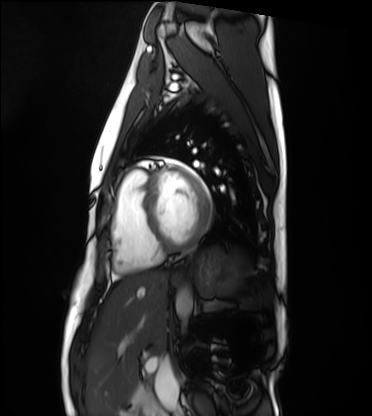
| field | value |
|---|---|
| modality | cardiac MRI |
| subject group | healthy volunteer |